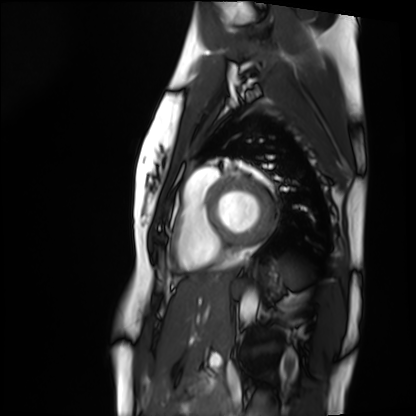
modality: cardiac MRI
subject group: healthy volunteer